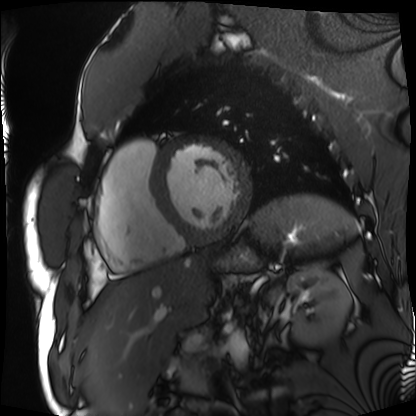
modality: cardiac MRI | subject group: patient.